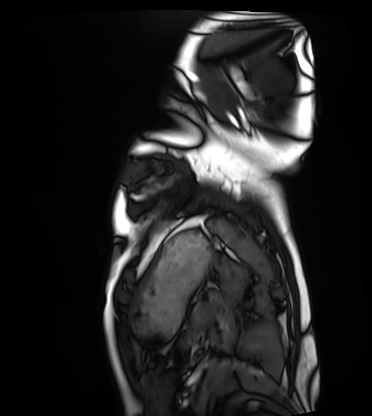
Summary: Cardiac MRI. Subject group: healthy volunteer.